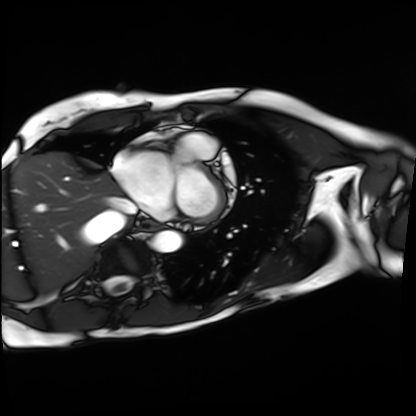
Summary: Cardiac MRI. Subject group: patient.